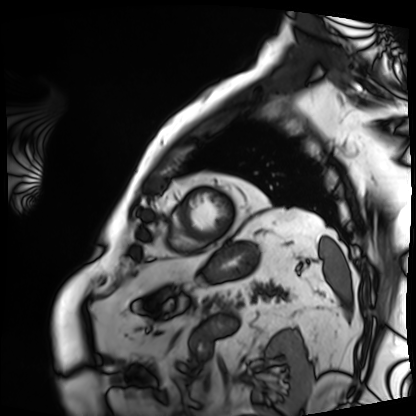
Q: What kind of scan is this?
A: Cardiac MRI.
Subject group: patient.